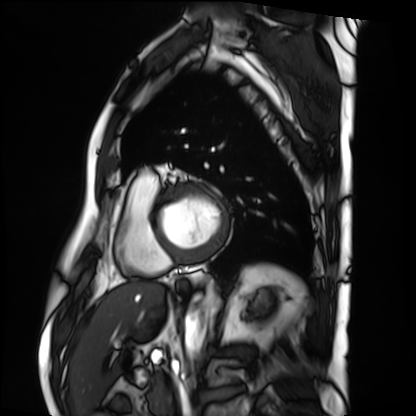
* modality — cardiac MRI
* subject group — patient